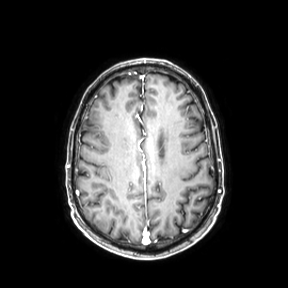
Q: What kind of scan is this?
A: 3 Tesla brain MRI.
Q: Series?
A: Axial.
Study: ring-enhancing brain masses.